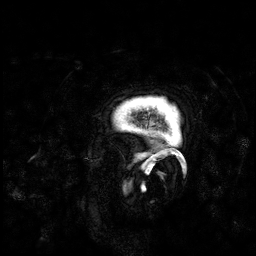
3 Tesla brain MRI. Series: 3D T1-weighted. Study: ring-enhancing brain masses.